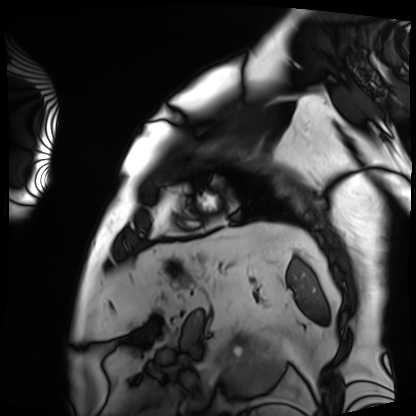
<record>
<modality>cardiac MRI</modality>
<cohort>patient</cohort>
</record>